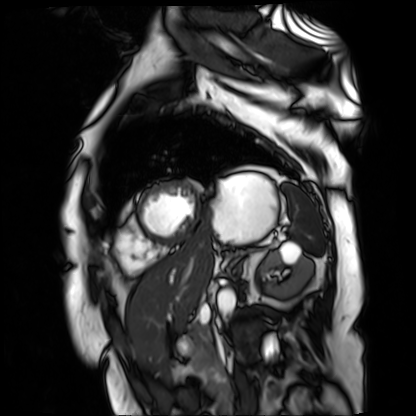
Cardiac MR image of the myocardium.
Subject cohort: cardiac patient.